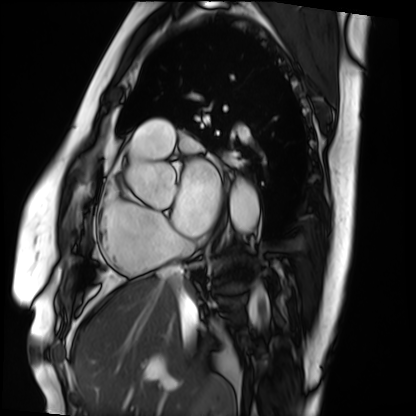
modality = cardiac MRI | subject group = patient.